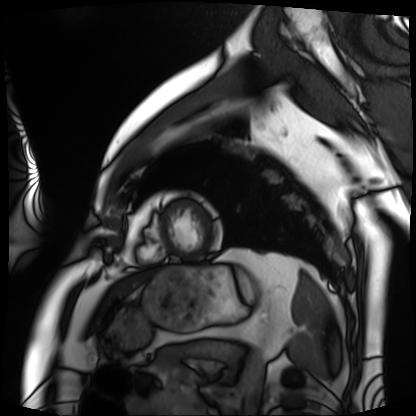
Summary:
Cardiac MRI. Subject group: patient.